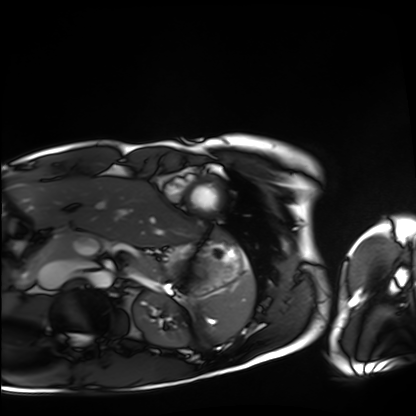
Case summary: Cardiac MRI. Subject group: healthy volunteer.